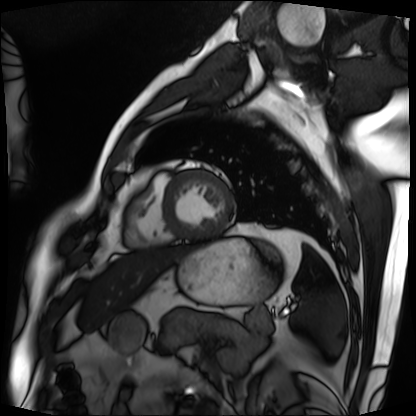
Cardiac MRI. Subject group: patient.